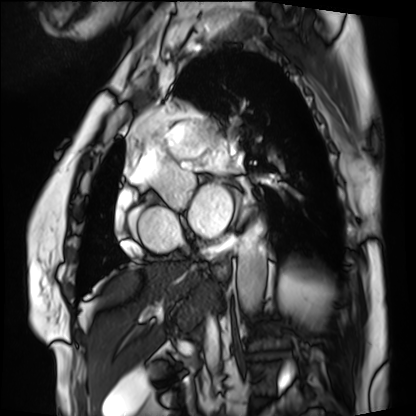
Case:
* modality: cardiac MRI
* subject group: patient